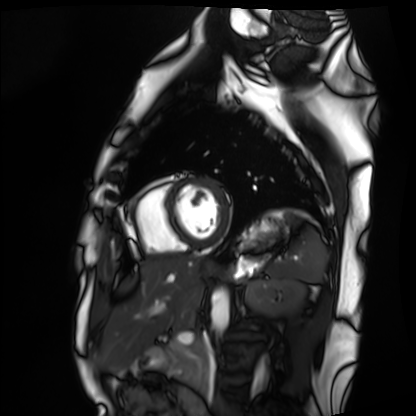
Cardiac MRI.
Subject group: healthy volunteer.